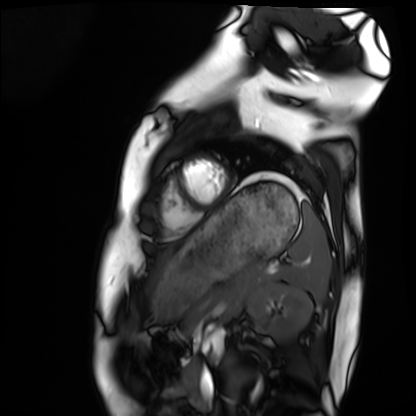
<case>
<modality>cardiac MRI</modality>
<cohort>healthy volunteer</cohort>
</case>